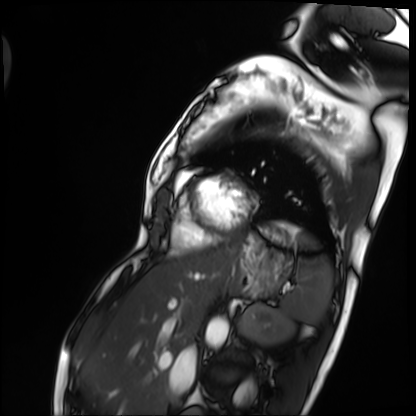
Case summary:
Cardiac MRI. Subject group: patient.